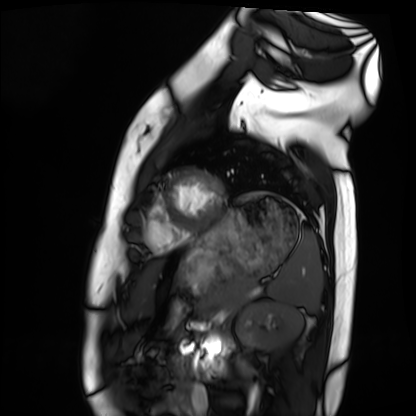
modality: cardiac MRI; subject group: healthy volunteer.